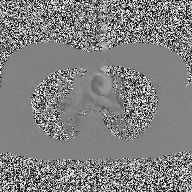
2D phase-contrast cine MRI of the ascending aorta, high-resolution GRAPPA acquisition.